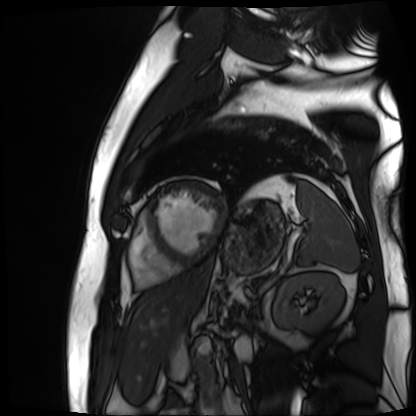
modality=cardiac MR image of the myocardium
subject cohort=cardiac patient